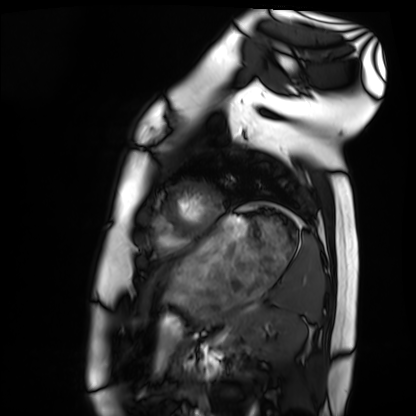
modality: cardiac MRI, subject group: healthy volunteer.